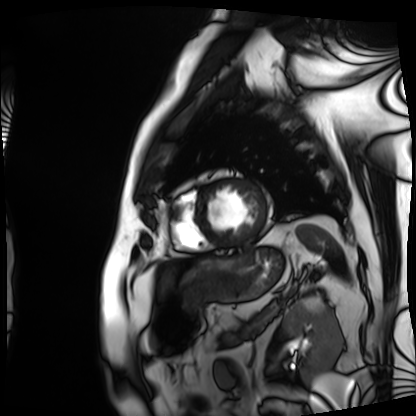
Case summary: Cardiac MRI. Subject group: patient.